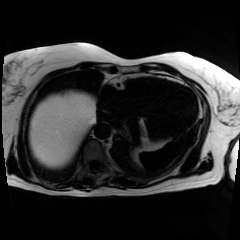
Case summary: Chemical-shift-encoded cardiac MRI.